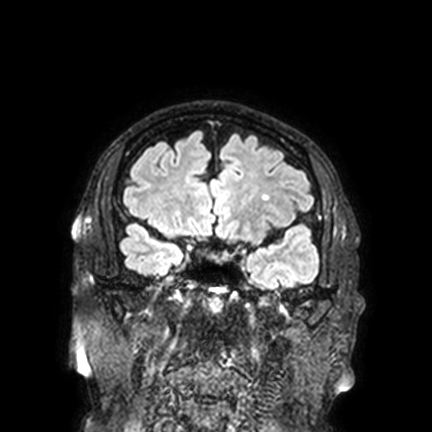
3 Tesla brain MRI. Series: FLAIR VISTA with SENSE. Study: ring-enhancing brain masses.